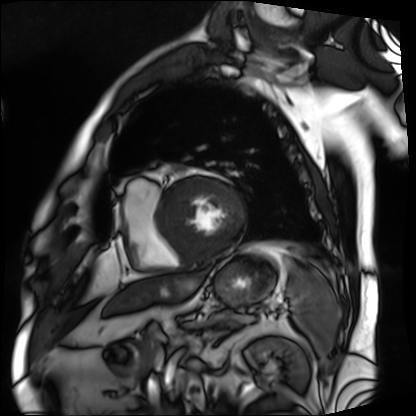
Cardiac MRI.
Subject group: patient.